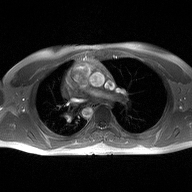
modality=2D phase-contrast cine MRI of the ascending aorta.